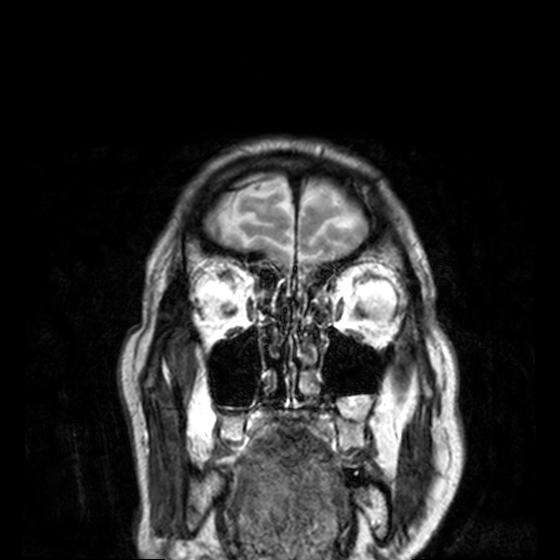
| field | value |
|---|---|
| modality | 3 Tesla brain MRI |
| series | T2-weighted turbo spin echo, 3 mm |
| study | ring-enhancing brain masses |